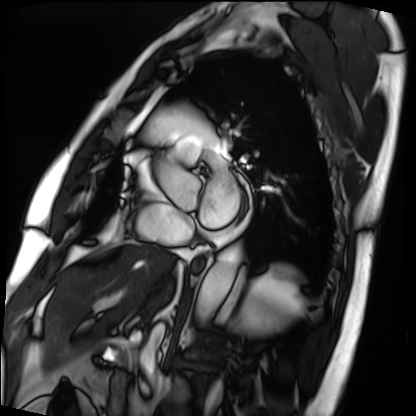
modality — cardiac MRI; subject group — patient.